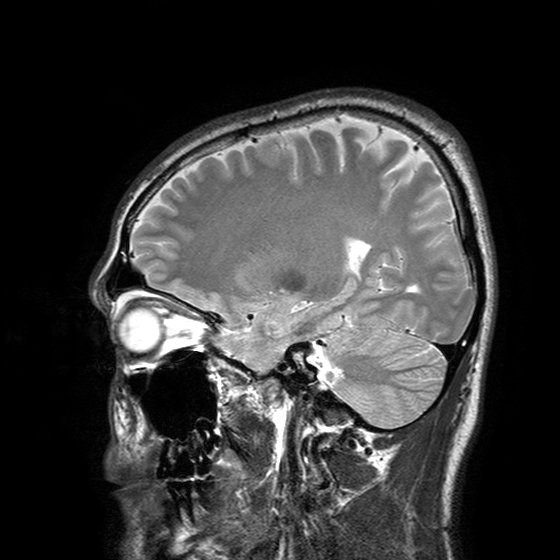
3 Tesla brain MRI.
Series: T2-weighted turbo spin echo with SENSE.
Study: ring-enhancing brain masses.